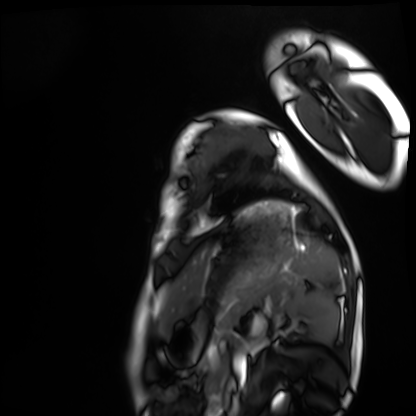
{
  "modality": "cardiac MRI",
  "cohort": "healthy volunteer"
}